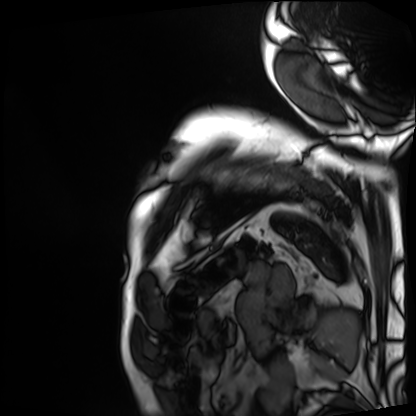
modality — cardiac MRI | subject group — patient.